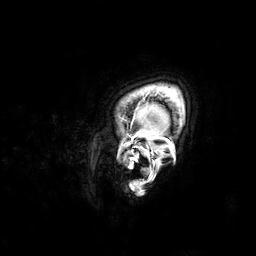
modality:
  type: brain MRI
  field_strength: 3T
series: 3D T1-weighted
study_topic: ring-enhancing brain masses